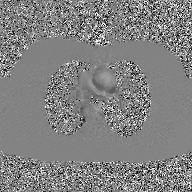
Q: What kind of scan is this?
A: 2D phase-contrast cine MRI of the ascending aorta, GAN super-resolution reconstruction.